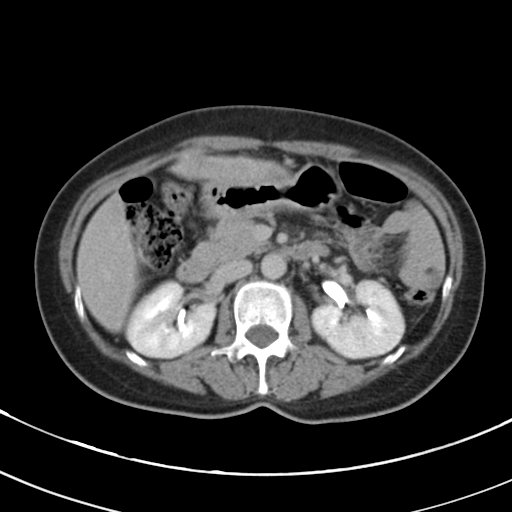
Clinical context:
Multiphase abdominal CT, liver, delayed phase. Patient: female, age 56. History: cirrhosis, viral hepatitis.